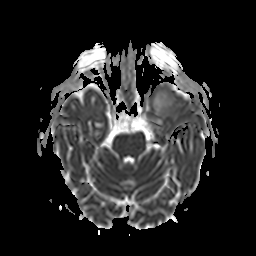
modality: 3 Tesla brain MRI
series: apparent diffusion coefficient (ADC) map
study: ring-enhancing brain masses